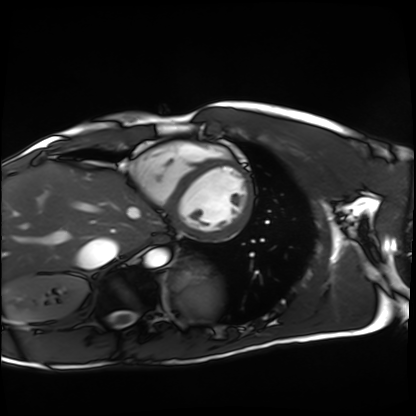
modality: cardiac MRI
cohort: healthy volunteer